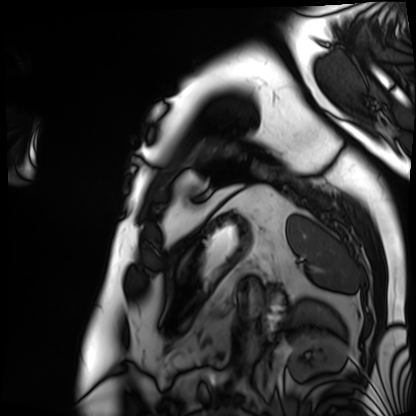
Case:
– modality: cardiac MRI
– subject group: patient